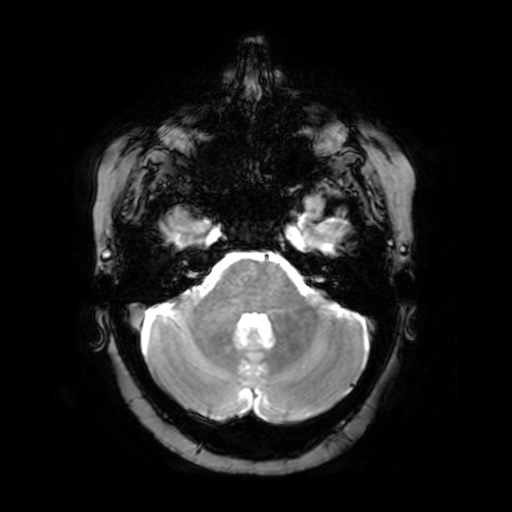
3 Tesla brain MRI. Series: T2-weighted fast field echo. Study: ring-enhancing brain masses.